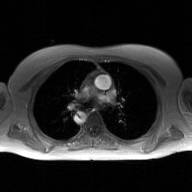
– modality: 2D phase-contrast cine MRI of the ascending aorta, GAN super-resolution reconstruction